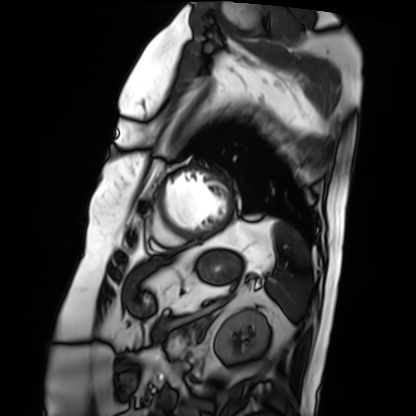
Summary:
Cardiac MRI. Subject group: patient.